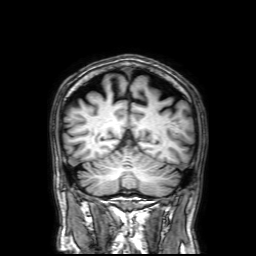
- modality — 3 Tesla brain MRI
- series — 3D T1-weighted with SENSE
- study — ring-enhancing brain masses